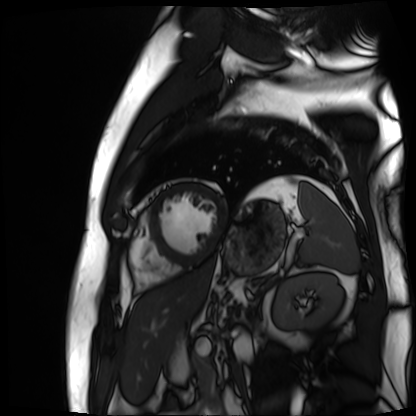
Cardiac MR image of the myocardium. Subject cohort: cardiac patient.